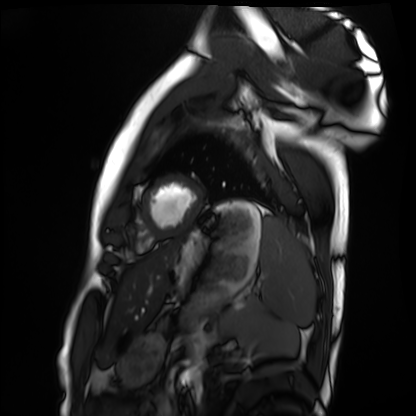
Clinical context:
Cardiac MRI. Subject group: healthy volunteer.